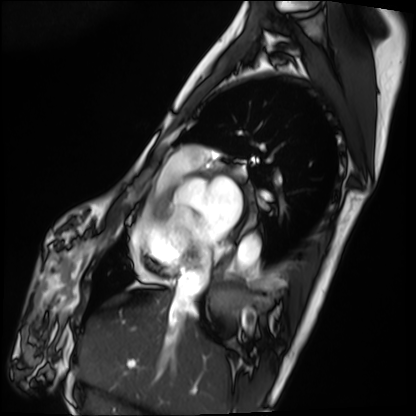
modality=cardiac MRI | subject group=patient.